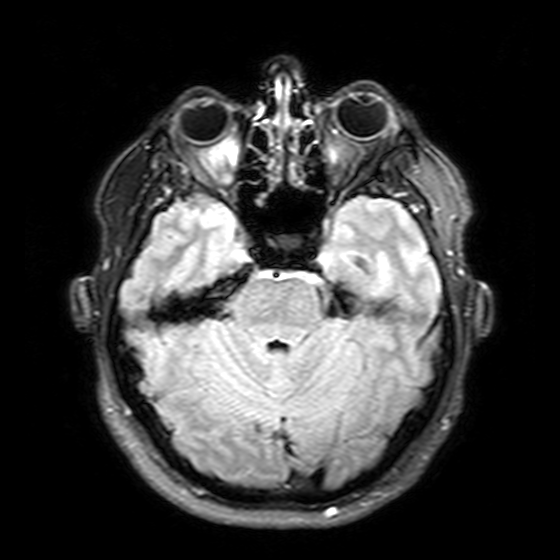
modality — 3 Tesla brain MRI | series — T2-weighted FLAIR | study — ring-enhancing brain masses.